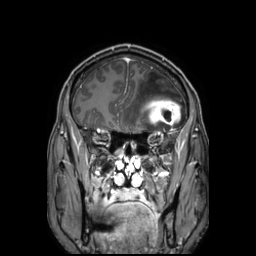
3 Tesla brain MRI. Series: 3D T1-weighted TFE with SENSE. Study: ring-enhancing brain masses.